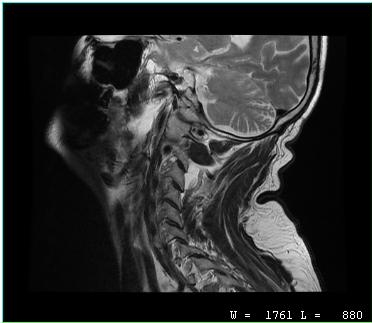
modality: MRI of the cervical spine | study: cervical spondylosis.